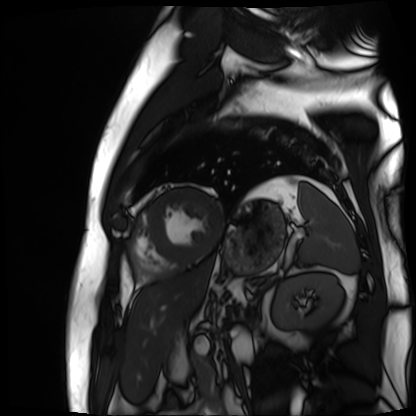
Case summary: Cardiac MR image of the myocardium. Subject cohort: cardiac patient.